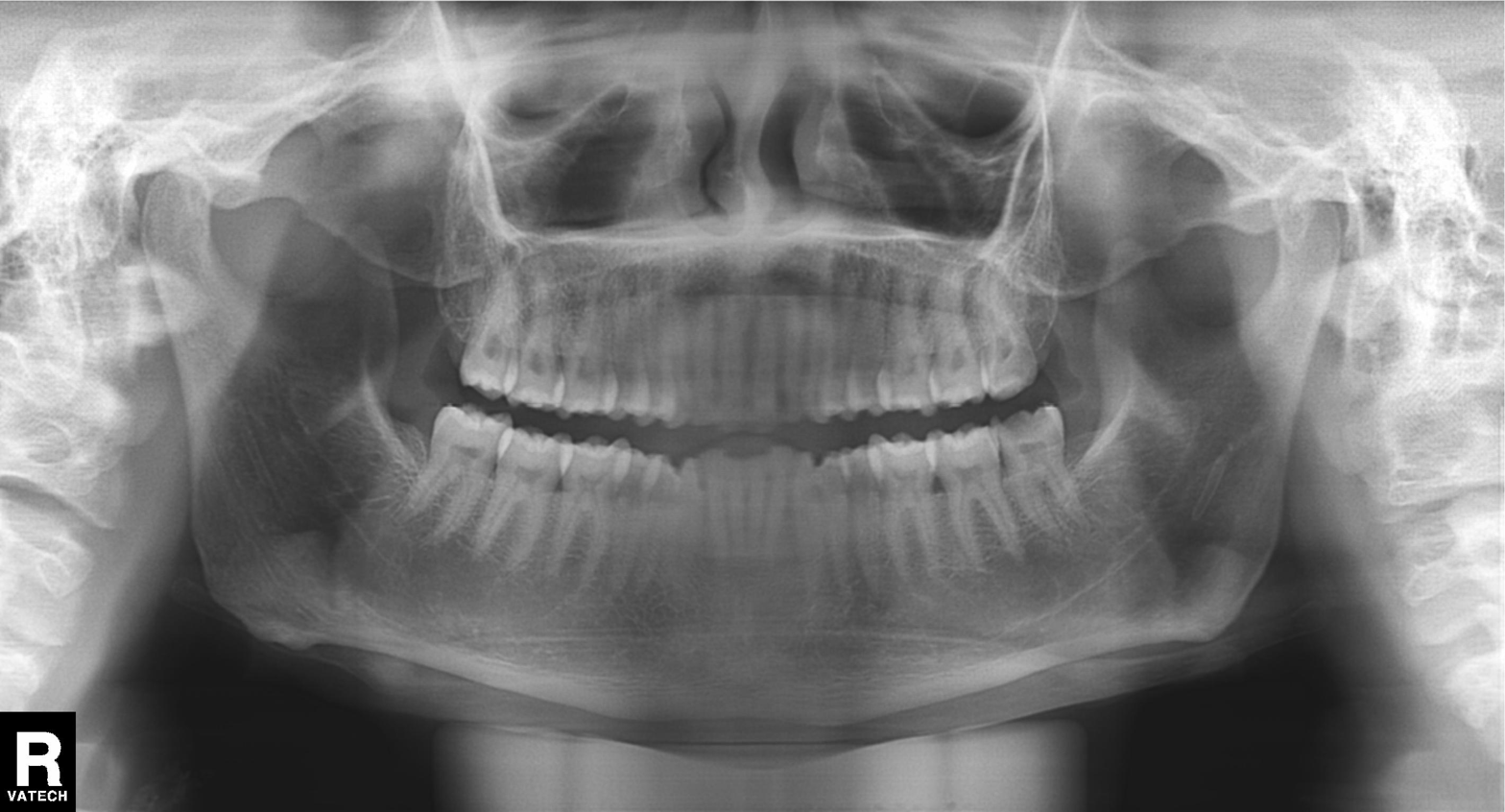
Panoramic dental radiograph (orthopantomogram).
Finding: dental caries (cavities).